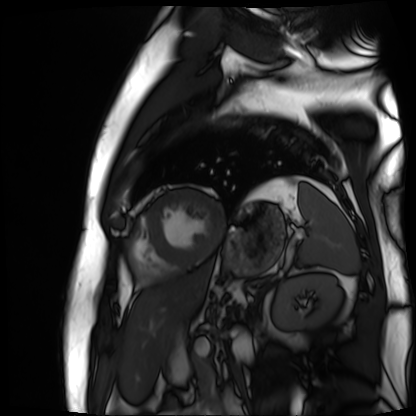
Cardiac MR image of the myocardium.
Subject cohort: cardiac patient.